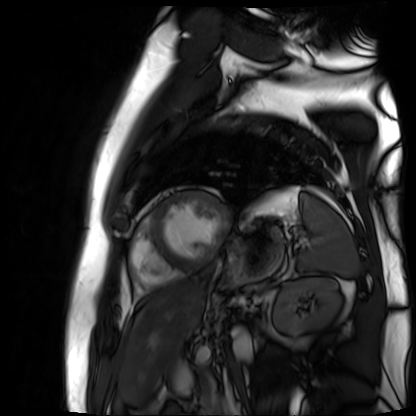
<study>
  <modality>cardiac MR image of the myocardium</modality>
  <cohort>cardiac patient</cohort>
</study>